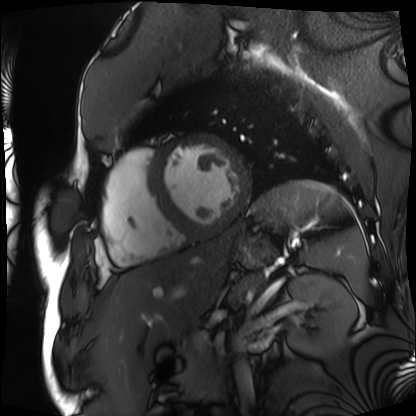
Cardiac MRI.
Subject group: patient.